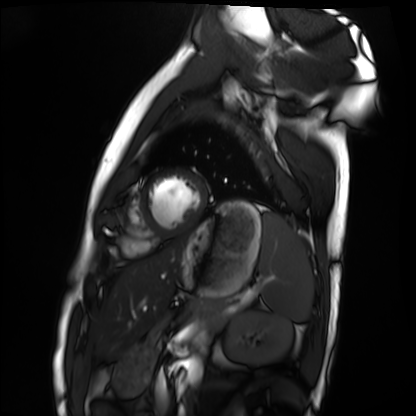
Q: What kind of scan is this?
A: Cardiac MRI.
Subject group: healthy volunteer.